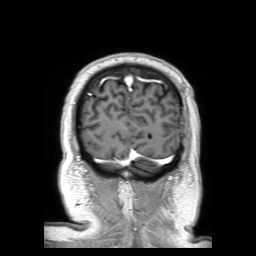
Q: What kind of scan is this?
A: 3 Tesla brain MRI.
Q: Series?
A: 3D T1-weighted TFE with SENSE.
Study: ring-enhancing brain masses.